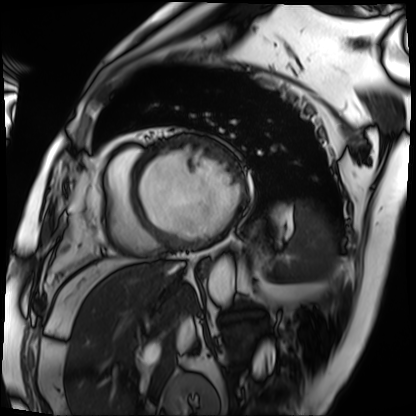
– modality · cardiac MRI
– subject group · patient